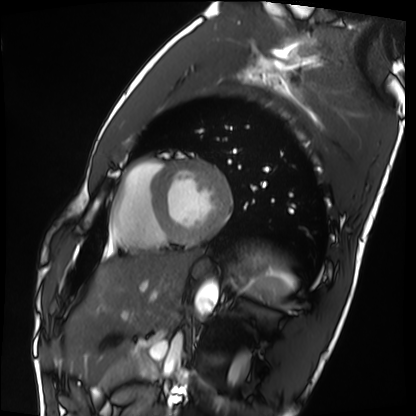
Q: What kind of scan is this?
A: Cardiac MRI.
Subject group: healthy volunteer.